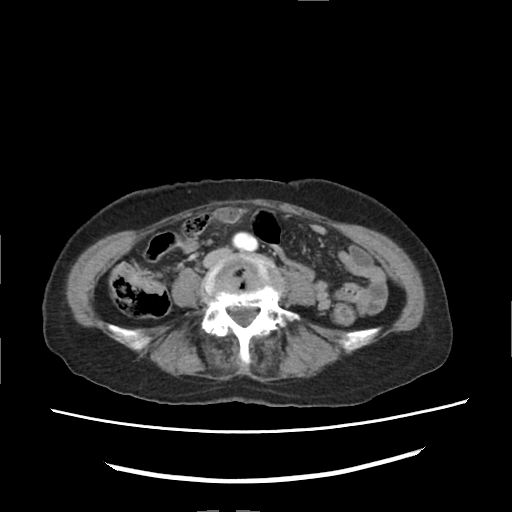
Multiphase abdominal CT, liver, arterial phase.
Patient: female, age 70.